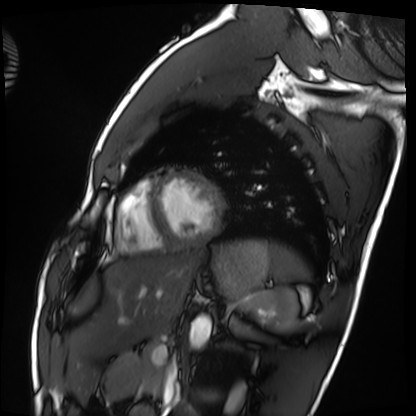
modality=cardiac MRI; subject group=healthy volunteer.